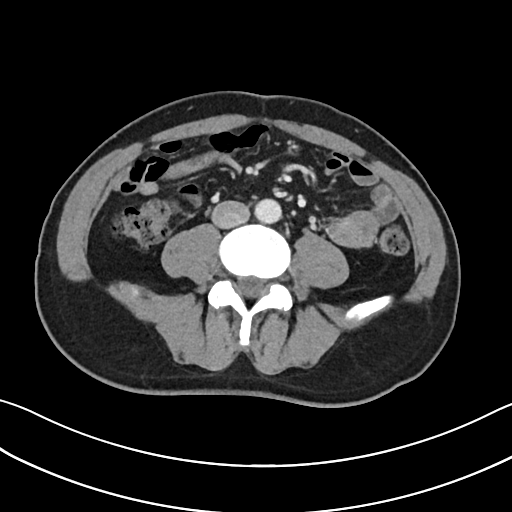
Summary: Multiphase abdominal CT, liver, portal venous phase. Patient: male, age 57. History: cirrhosis, viral hepatitis.